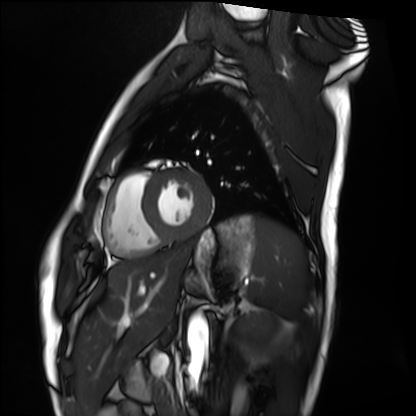
Cardiac MRI. Subject group: healthy volunteer.